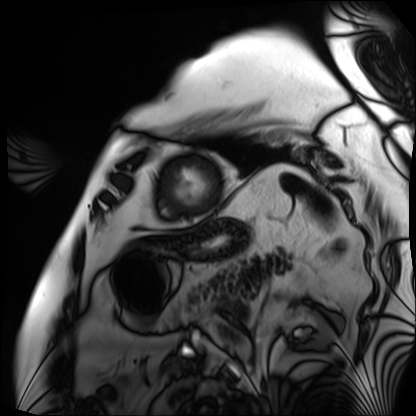
Case summary: Cardiac MRI. Subject group: patient.